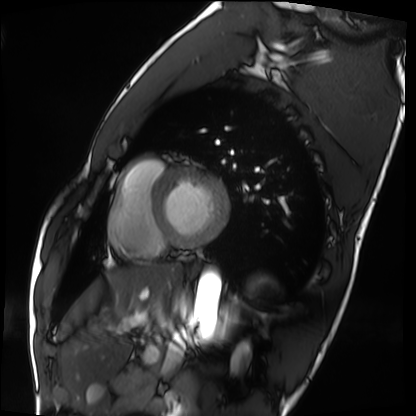
Cardiac MRI. Subject group: healthy volunteer.